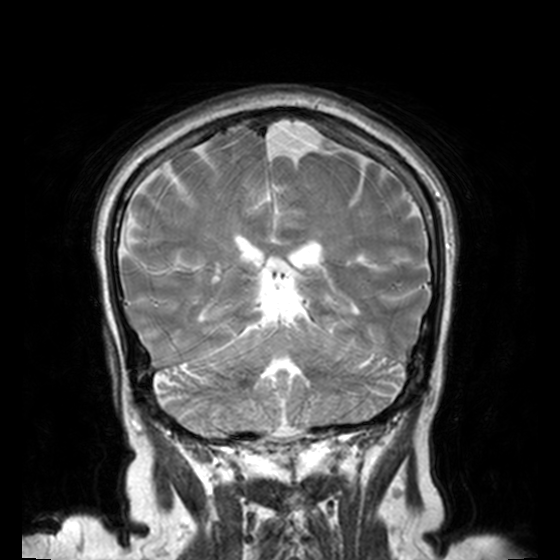
3 Tesla brain MRI. Study: ring-enhancing brain masses.